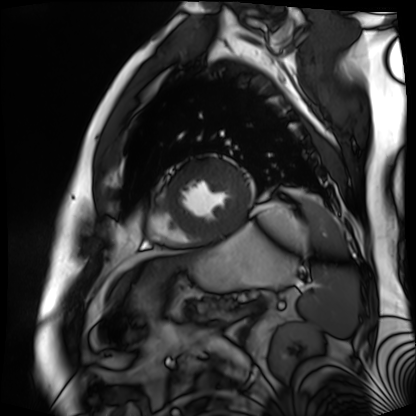
- modality: cardiac MR image of the myocardium
- subject cohort: cardiac patient